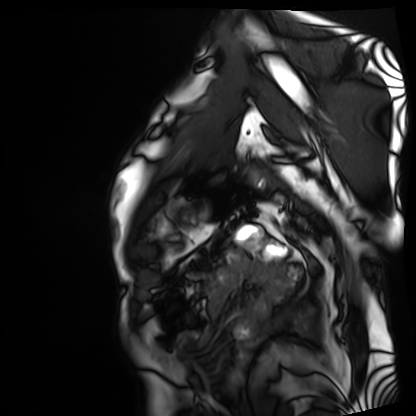
Cardiac MRI.
Subject group: patient.